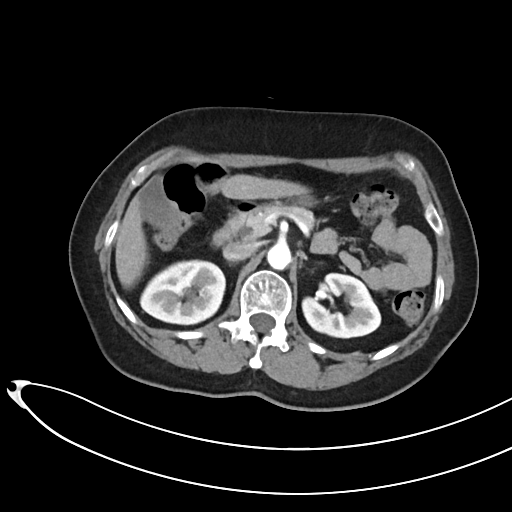
Multiphase abdominal CT, liver, arterial phase.